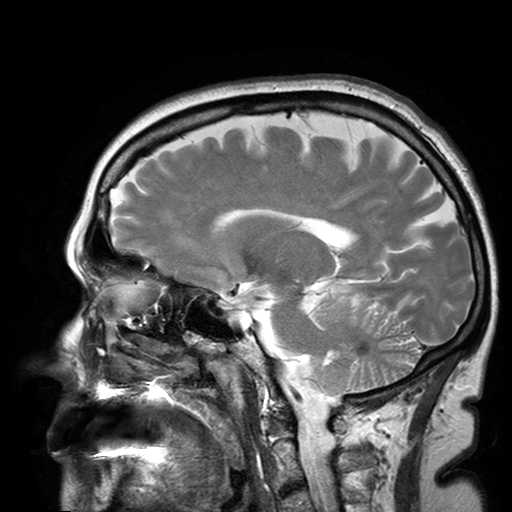
3 Tesla brain MRI. Series: T2-weighted turbo spin echo with SENSE. Study: ring-enhancing brain masses.